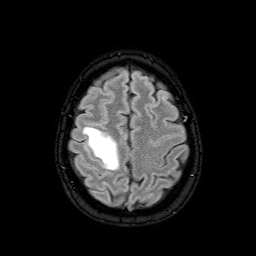
3 Tesla brain MRI.
Series: FLAIR with SPAIR.
Study: ring-enhancing brain masses.